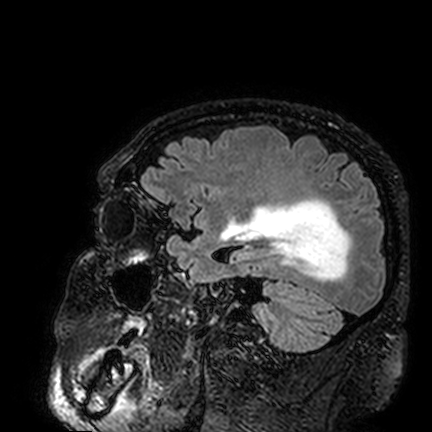
3 Tesla brain MRI. Study: ring-enhancing brain masses.